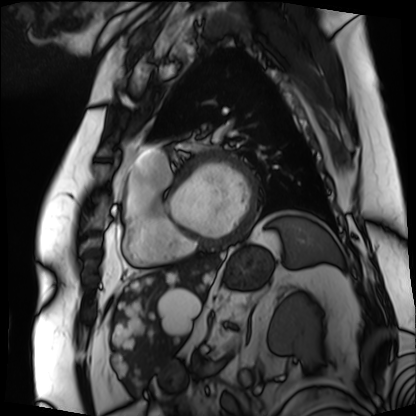
modality: cardiac MRI, subject group: patient.